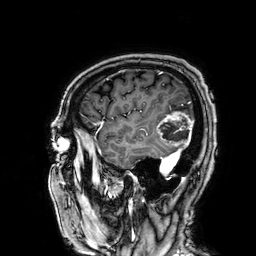
3 Tesla brain MRI. Series: 3D T1-weighted. Study: ring-enhancing brain masses.